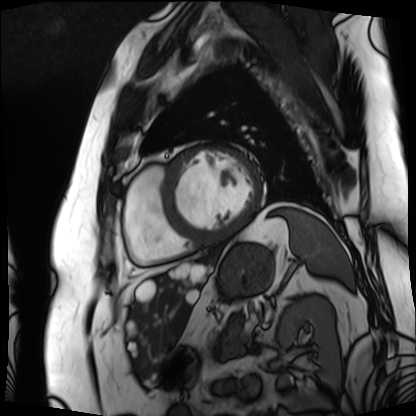
Summary:
Cardiac MRI. Subject group: patient.